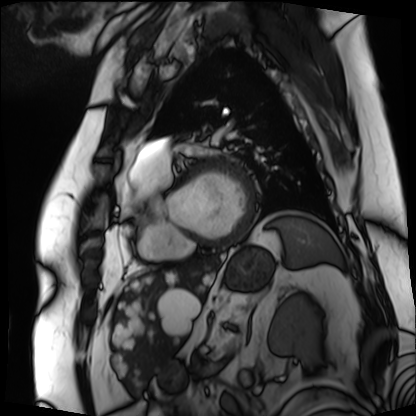
Cardiac MRI. Subject group: patient.